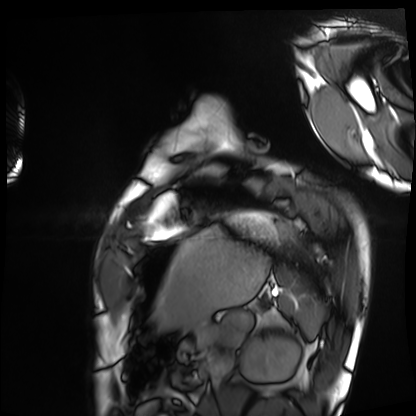
Cardiac MRI. Subject group: healthy volunteer.